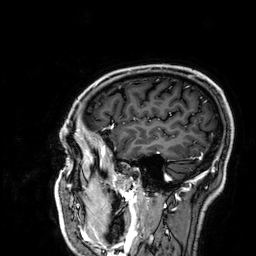
  modality:
    type: brain MRI
    field_strength: 3T
  series: 3D T1-weighted
  study_topic: ring-enhancing brain masses